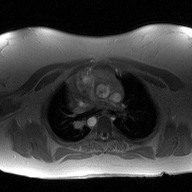
2D phase-contrast cine MRI of the ascending aorta, high-resolution GRAPPA acquisition.